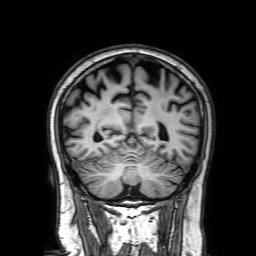
Case:
– modality — 3 Tesla brain MRI
– series — 3D T1-weighted with SENSE
– study — ring-enhancing brain masses